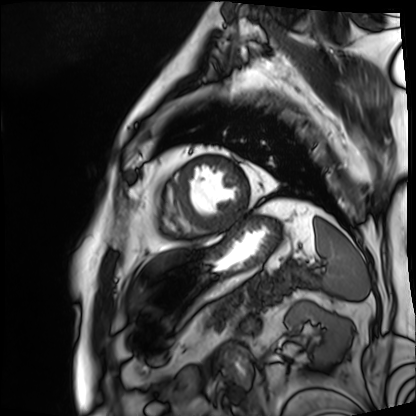
Case:
– modality — cardiac MRI
– subject group — patient